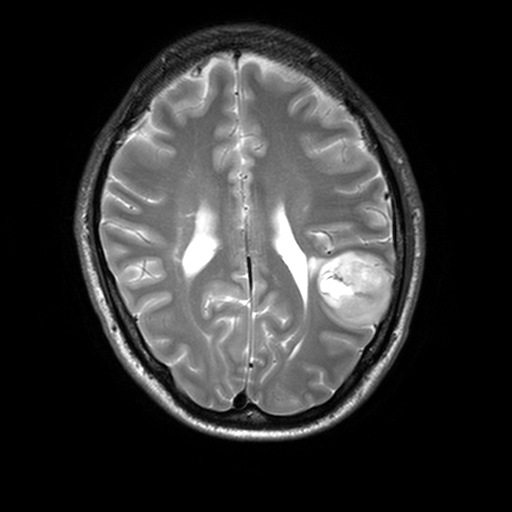
Q: What kind of scan is this?
A: 3 Tesla brain MRI.
Q: Series?
A: T2-weighted turbo spin echo, 3 mm.
Study: ring-enhancing brain masses.